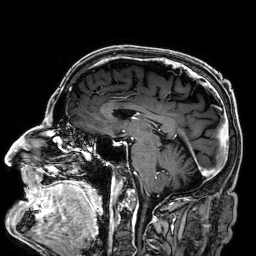
| field | value |
|---|---|
| modality | 3 Tesla brain MRI |
| series | 3D T1-weighted |
| study | ring-enhancing brain masses |